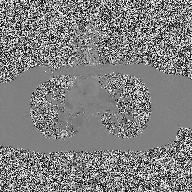
<study>
<modality>
  <type>2D phase-contrast cine MRI</type>
  <region>ascending aorta</region>
  <reconstruction>high-resolution GRAPPA acquisition</reconstruction>
</modality>
</study>